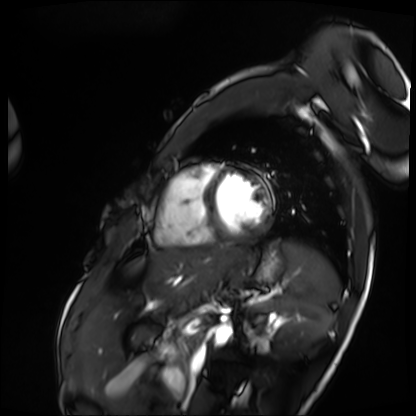
Cardiac MRI.
Subject group: patient.